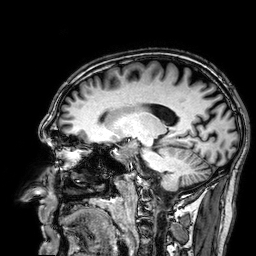
modality: 3 Tesla brain MRI; study: ring-enhancing brain masses.